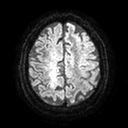
Summary:
3 Tesla brain MRI. Series: diffusion tensor imaging (medium iso). Study: ring-enhancing brain masses.